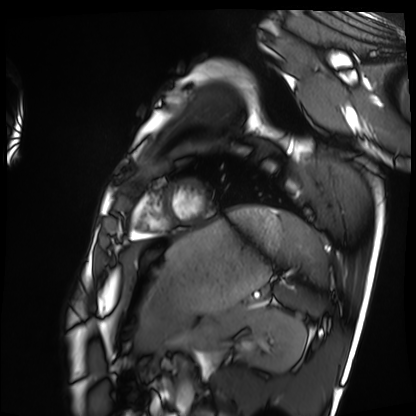
* modality: cardiac MRI
* subject group: healthy volunteer